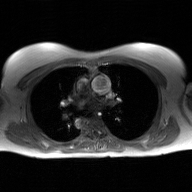
modality — 2D phase-contrast cine MRI of the ascending aorta, GAN super-resolution reconstruction.